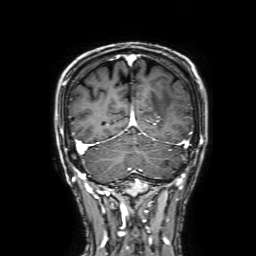
• modality: 3 Tesla brain MRI
• series: 3D T1-weighted with SENSE
• study: ring-enhancing brain masses